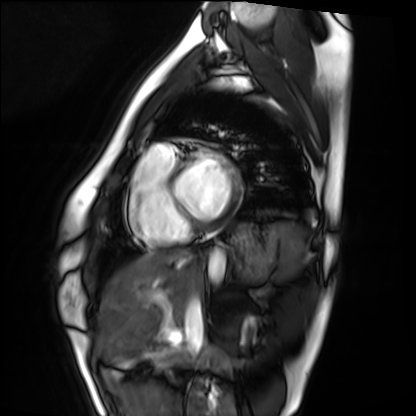
Cardiac MRI.
Subject group: healthy volunteer.